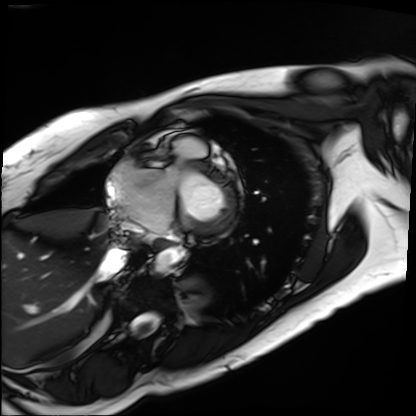
Q: What kind of scan is this?
A: Cardiac MRI.
Subject group: patient.